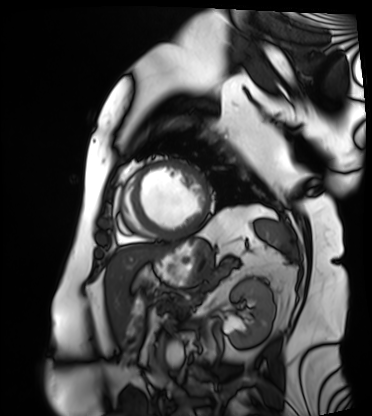
Clinical context:
Cardiac MRI. Subject group: patient.